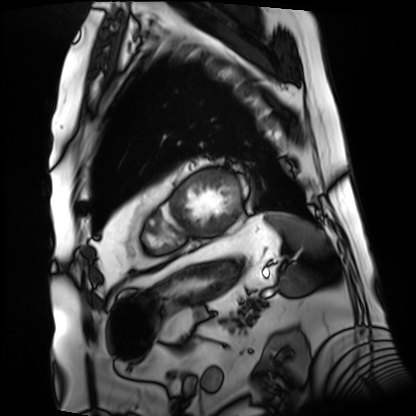
Q: What kind of scan is this?
A: Cardiac MRI.
Subject group: patient.